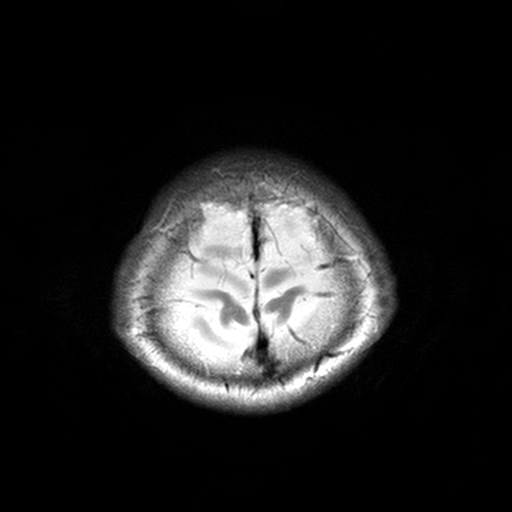
3 Tesla brain MRI. Series: T2-weighted turbo spin echo, 3 mm. Study: ring-enhancing brain masses.